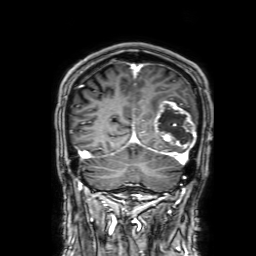
Summary: 3 Tesla brain MRI. Study: ring-enhancing brain masses.